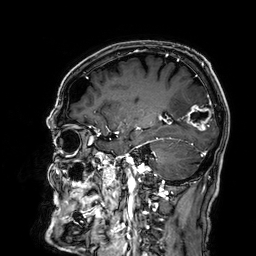
<case>
<modality>
  <type>brain MRI</type>
  <field_strength>3T</field_strength>
</modality>
<series>3D T1-weighted</series>
<study_topic>ring-enhancing brain masses</study_topic>
</case>